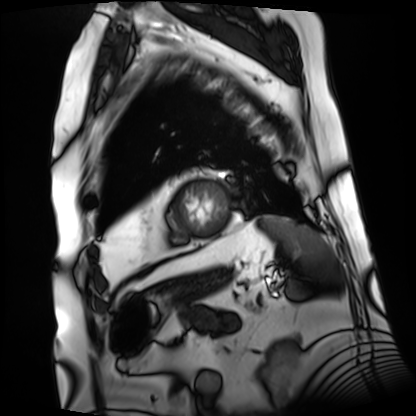
Summary: Cardiac MRI. Subject group: patient.